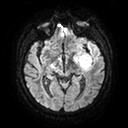
{
  "modality": {
    "type": "brain MRI",
    "field_strength": "3T"
  },
  "series": "diffusion tensor imaging (medium iso)",
  "study_topic": "ring-enhancing brain masses"
}